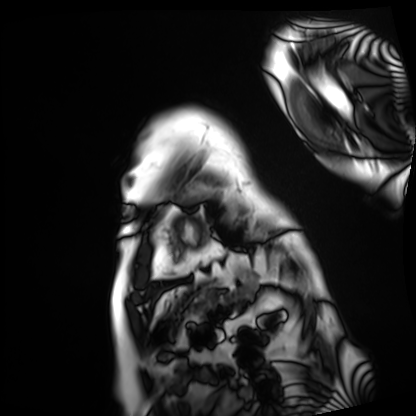
Cardiac MRI. Subject group: patient.